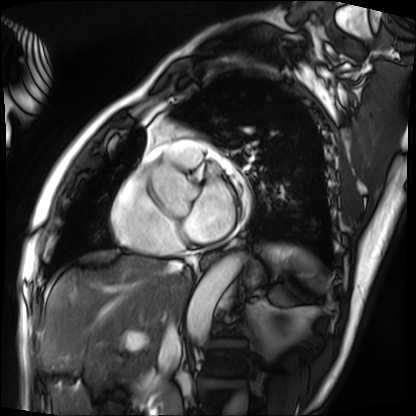
Cardiac MRI.
Subject group: patient.